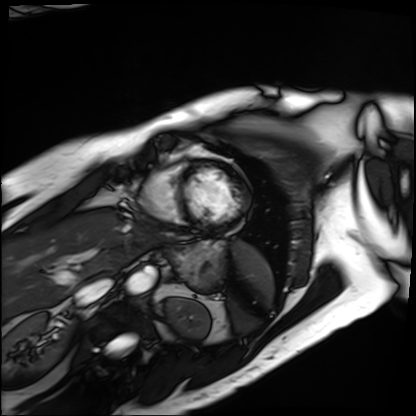
modality: cardiac MRI
cohort: patient